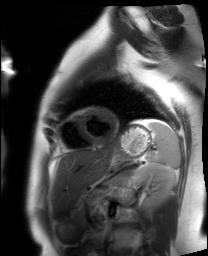
Summary:
Cardiac MRI. Subject group: healthy volunteer.